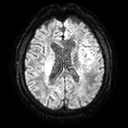
modality — 3 Tesla brain MRI
series — diffusion tensor imaging (medium iso)
study — ring-enhancing brain masses